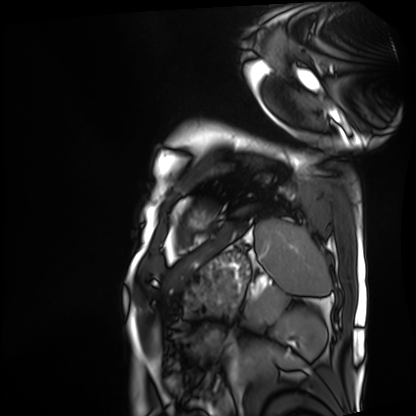
{"modality": "cardiac MRI", "cohort": "patient"}